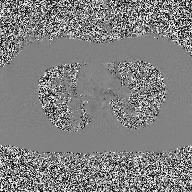
Clinical context:
2D phase-contrast cine MRI of the ascending aorta, high-resolution GRAPPA acquisition.